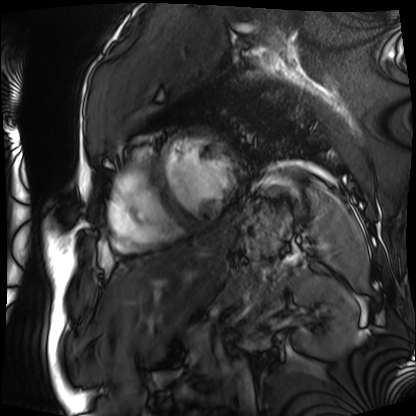
{
  "modality": "cardiac MRI",
  "cohort": "patient"
}